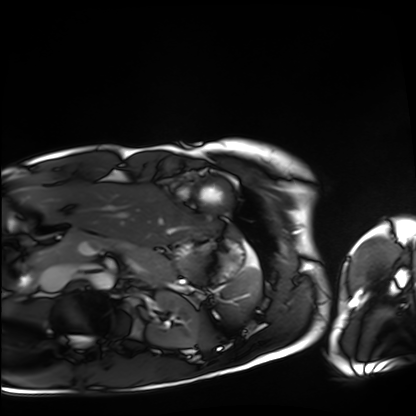
Summary:
Cardiac MRI. Subject group: healthy volunteer.